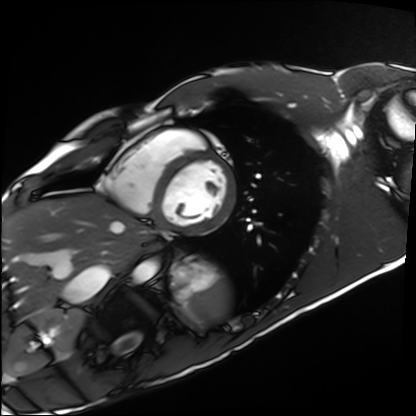
Q: What kind of scan is this?
A: Cardiac MRI.
Subject group: healthy volunteer.